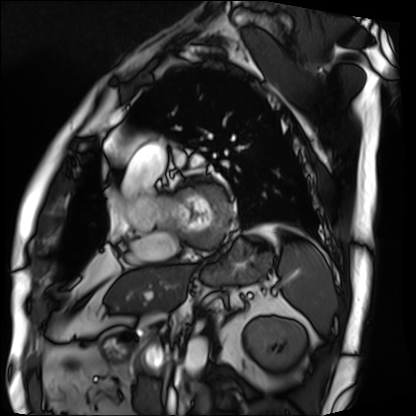
{
  "modality": "cardiac MRI",
  "cohort": "patient"
}